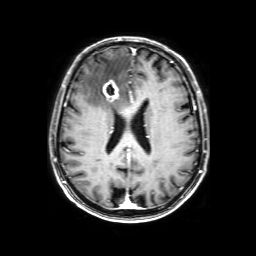
Q: What kind of scan is this?
A: 3 Tesla brain MRI.
Q: Series?
A: 3D T1-weighted with SENSE.
Study: ring-enhancing brain masses.